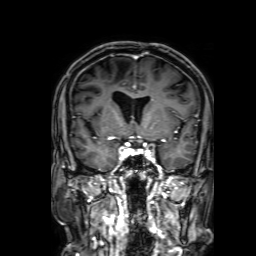
Clinical context: 3 Tesla brain MRI. Series: 3D T1-weighted with SENSE. Study: ring-enhancing brain masses.